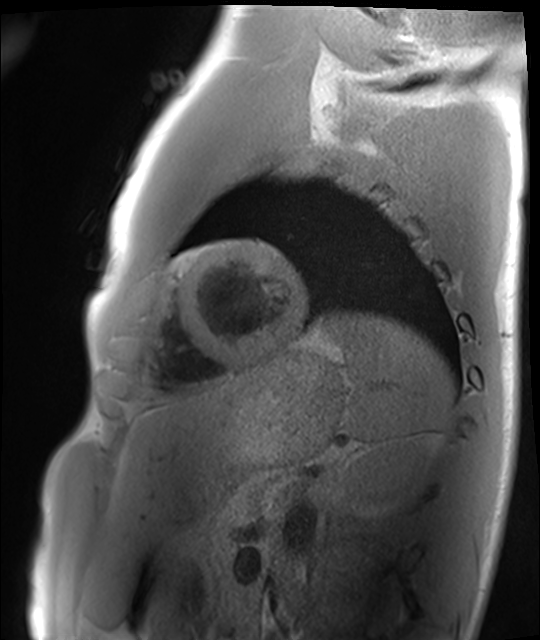
Cardiac MRI. Subject group: healthy volunteer.